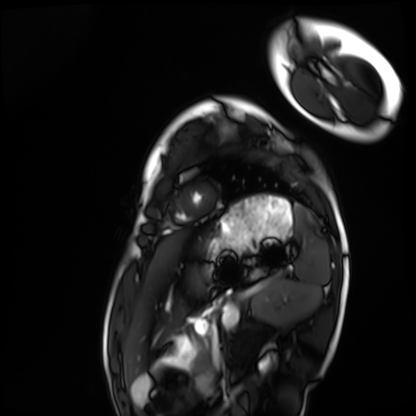
Cardiac MRI. Subject group: healthy volunteer.